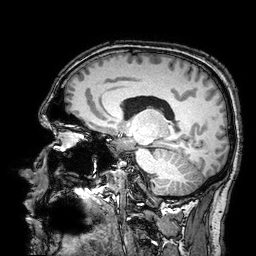
Summary: 3 Tesla brain MRI. Series: 3D T1-weighted turbo field echo with SENSE. Study: ring-enhancing brain masses.